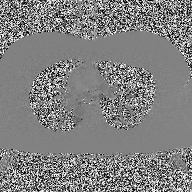
Summary:
2D phase-contrast cine MRI of the ascending aorta, high-resolution GRAPPA acquisition.